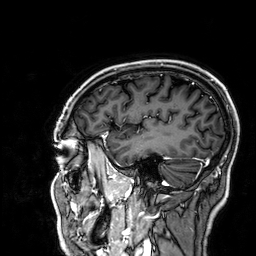
3 Tesla brain MRI. Series: 3D T1-weighted. Study: ring-enhancing brain masses.